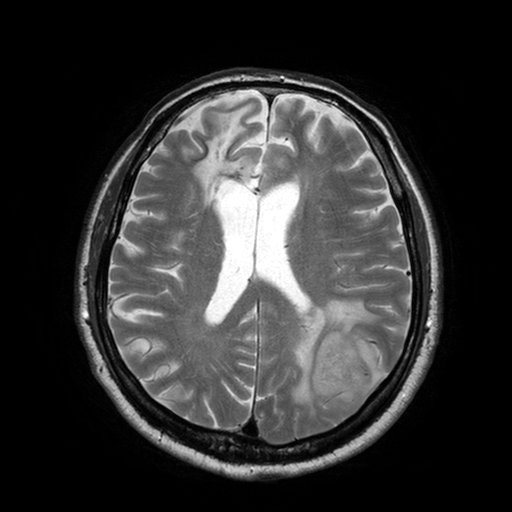
3 Tesla brain MRI. Series: T2-weighted turbo spin echo with SENSE. Study: ring-enhancing brain masses.